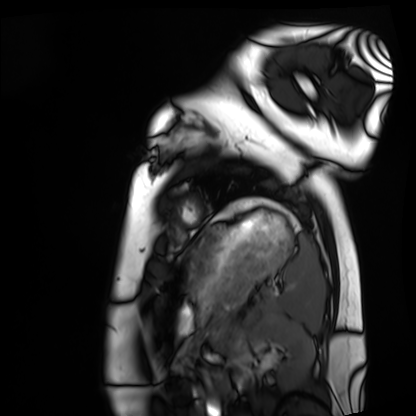
Summary:
Cardiac MRI. Subject group: healthy volunteer.